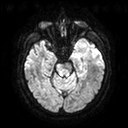
Case:
• modality · 3 Tesla brain MRI
• series · diffusion tensor imaging (medium iso)
• study · ring-enhancing brain masses